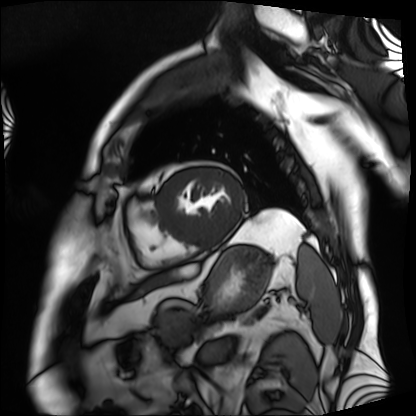
• modality · cardiac MRI
• subject group · patient